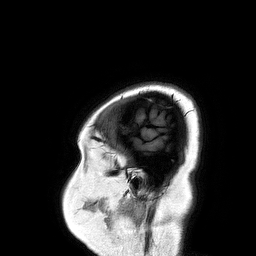
modality = 3 Tesla brain MRI | series = 3D T1-weighted turbo field echo | study = ring-enhancing brain masses.